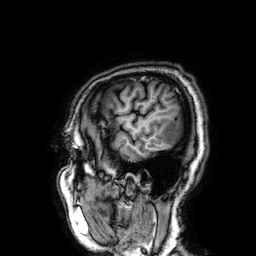
Q: What kind of scan is this?
A: 3 Tesla brain MRI.
Q: Series?
A: 3D T1-weighted.
Study: ring-enhancing brain masses.